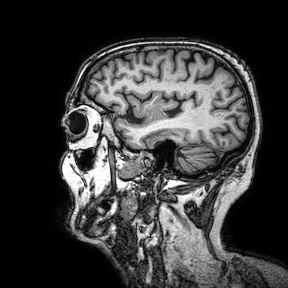
| field | value |
|---|---|
| modality | 3 Tesla brain MRI |
| series | 3D T1-weighted turbo field echo with SENSE |
| study | ring-enhancing brain masses |